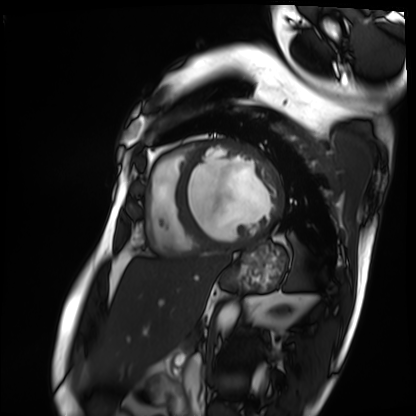
Q: What kind of scan is this?
A: Cardiac MRI.
Subject group: patient.